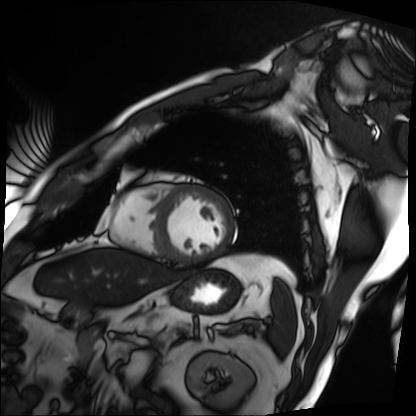
Clinical context: Cardiac MRI. Subject group: patient.